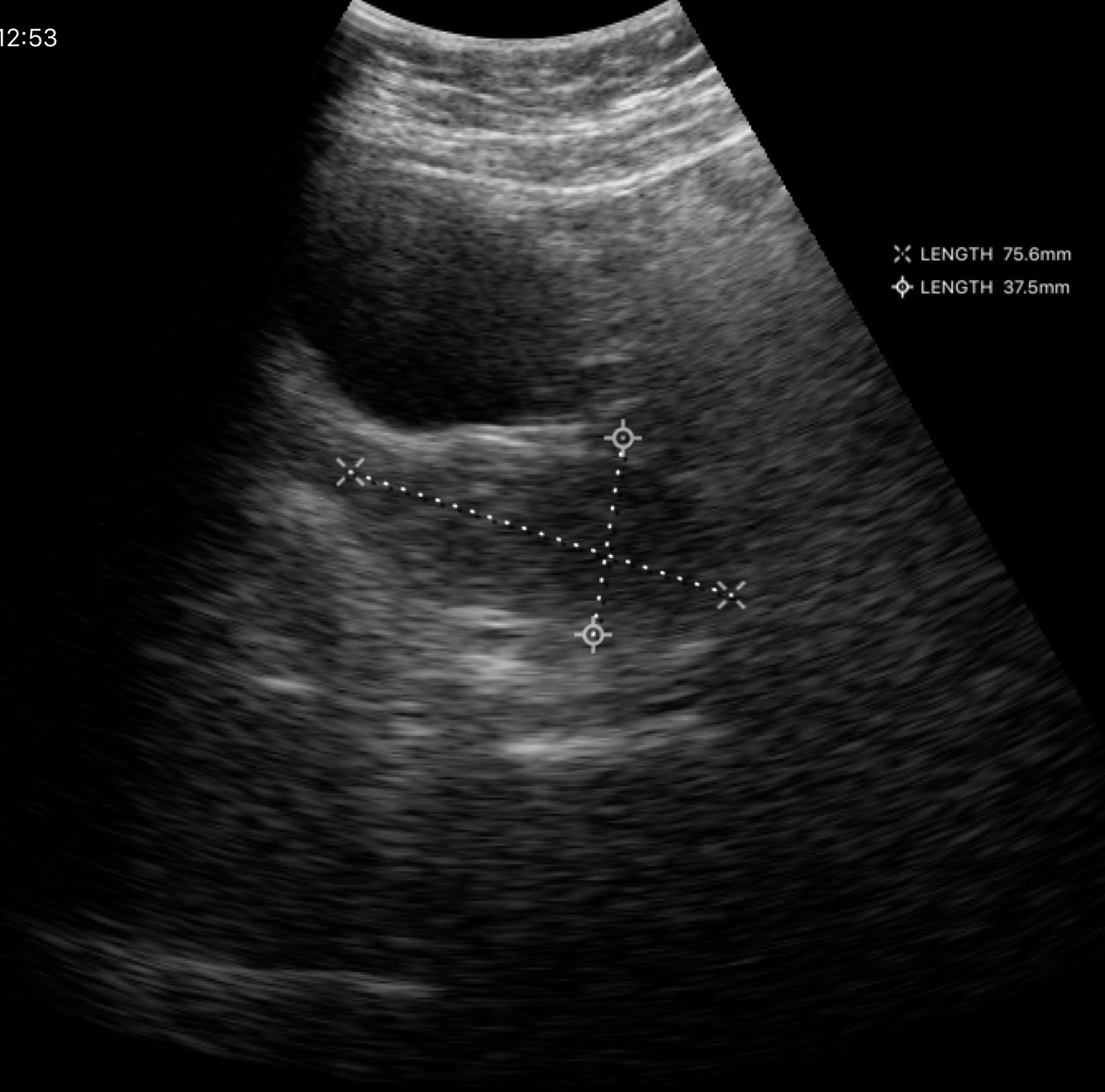
{"modality": {"type": "genitourinary ultrasound"}}